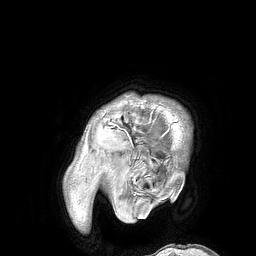
Q: What kind of scan is this?
A: 3 Tesla brain MRI.
Q: Series?
A: 3D T1-weighted turbo field echo.
Study: ring-enhancing brain masses.